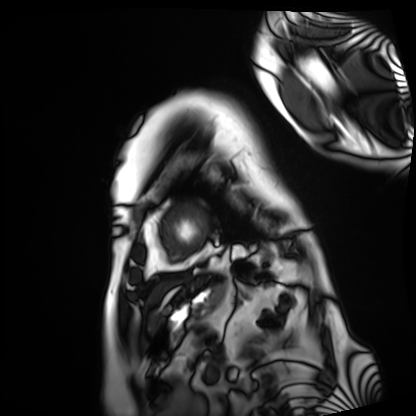
{
  "modality": "cardiac MRI",
  "cohort": "patient"
}